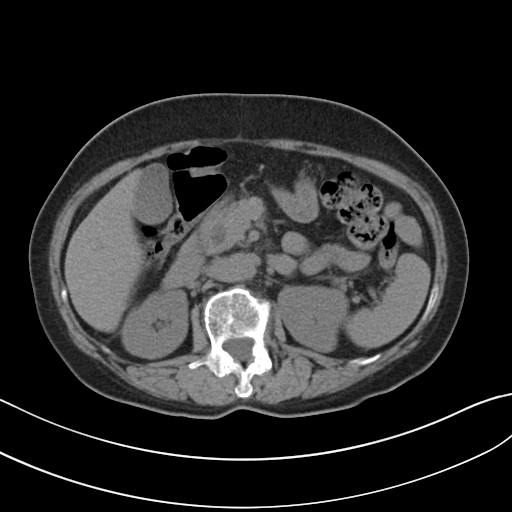
Multiphase abdominal CT, liver, non-contrast phase. Patient: female, age 62.